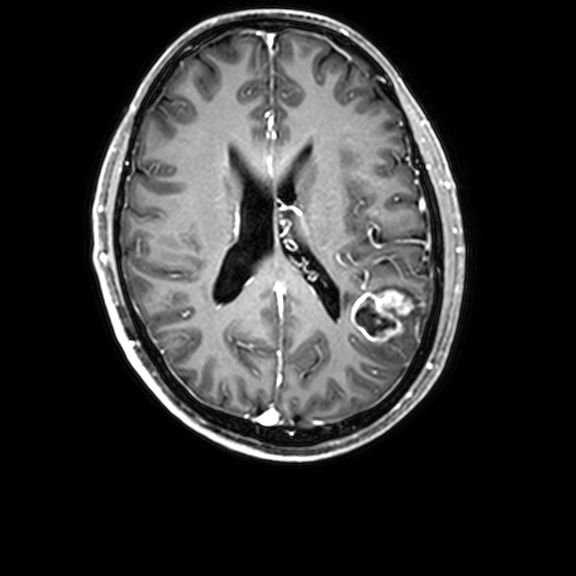
modality — 3 Tesla brain MRI | series — 3D T1-weighted with CLEAR | study — ring-enhancing brain masses.